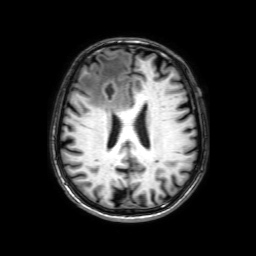
3 Tesla brain MRI. Series: 3D T1-weighted with SENSE. Study: ring-enhancing brain masses.